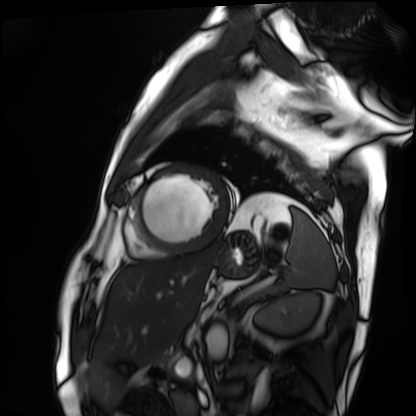
  modality: cardiac MRI
  cohort: patient